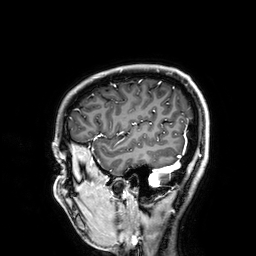
3 Tesla brain MRI. Series: 3D T1-weighted. Study: ring-enhancing brain masses.